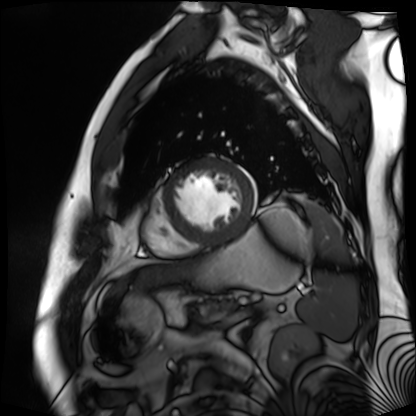
Clinical context: Cardiac MR image of the myocardium. Subject cohort: cardiac patient.